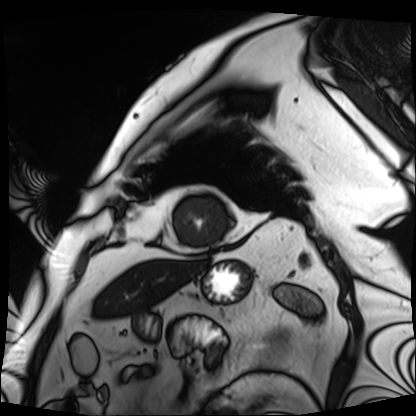
* modality — cardiac MRI
* subject group — patient